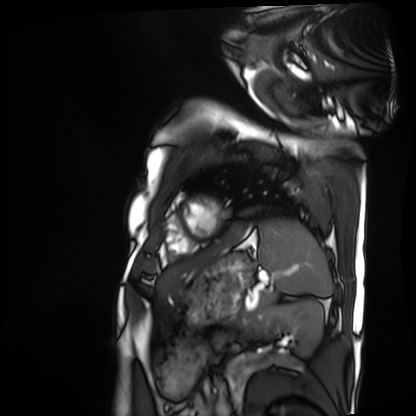
Cardiac MRI. Subject group: patient.